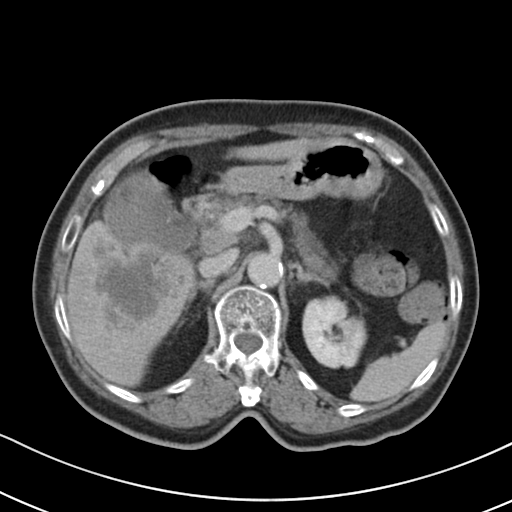
Summary:
Multiphase abdominal CT, liver, delayed phase. Patient: female, age 72.